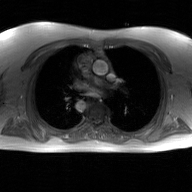
2D phase-contrast cine MRI of the ascending aorta, GAN super-resolution reconstruction.